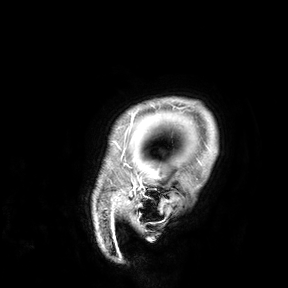
Q: What kind of scan is this?
A: 3 Tesla brain MRI.
Study: ring-enhancing brain masses.